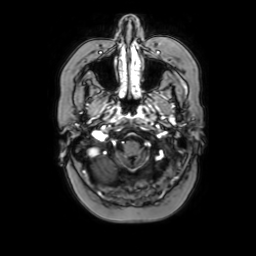
3 Tesla brain MRI. Series: axial with contrast. Study: ring-enhancing brain masses.